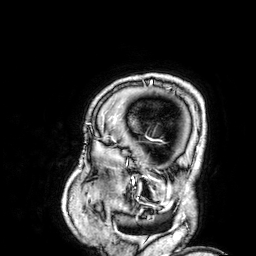
<scan>
<modality>
  <type>brain MRI</type>
  <field_strength>3T</field_strength>
</modality>
<study_topic>ring-enhancing brain masses</study_topic>
</scan>